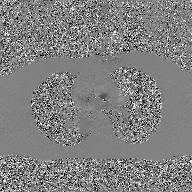
2D phase-contrast cine MRI of the ascending aorta, GAN super-resolution reconstruction.